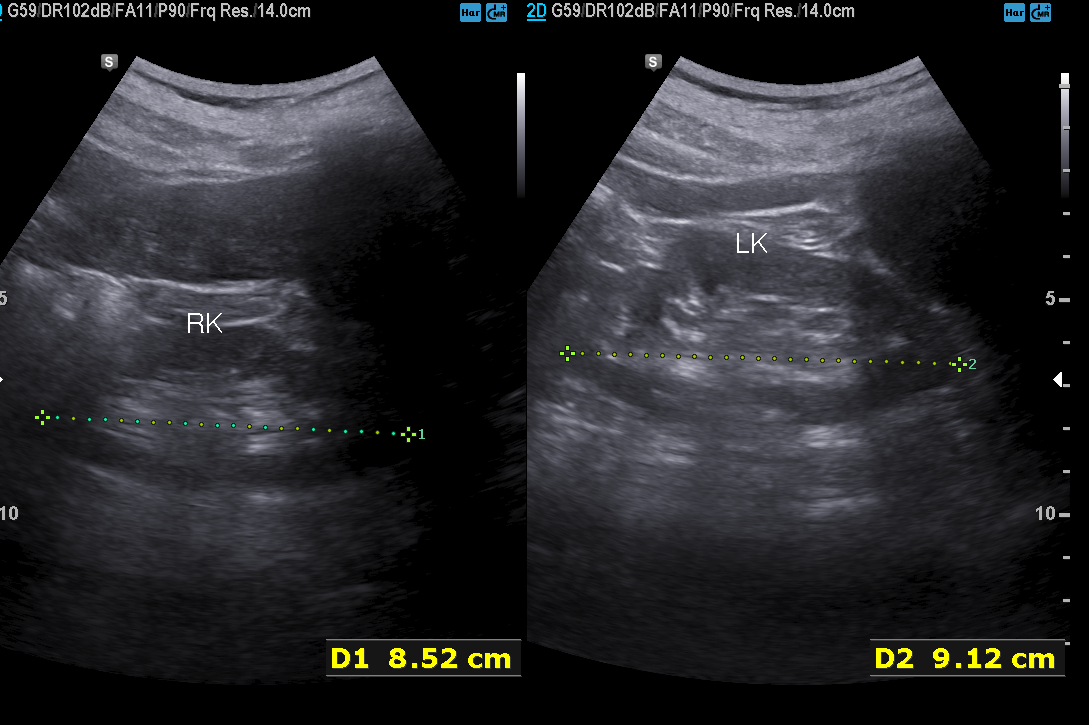
Genitourinary ultrasound.